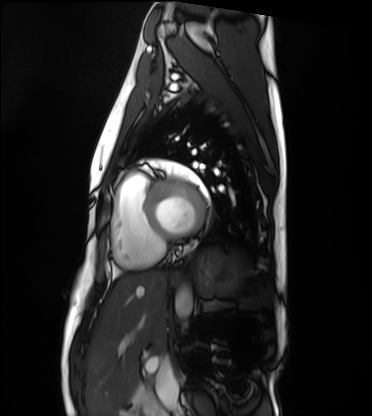
Cardiac MRI. Subject group: healthy volunteer.